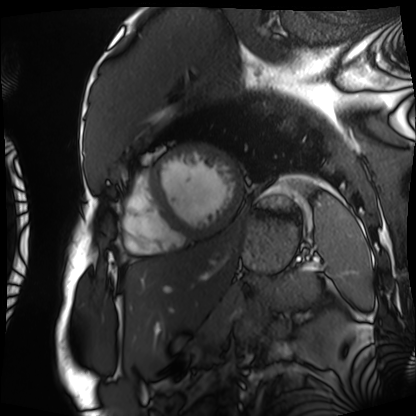
Q: What kind of scan is this?
A: Cardiac MRI.
Subject group: patient.